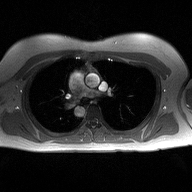
Case summary: 2D phase-contrast cine MRI of the ascending aorta, high-resolution GRAPPA acquisition.